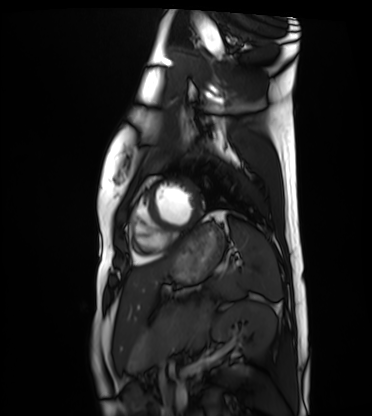
{"modality": "cardiac MRI", "cohort": "healthy volunteer"}